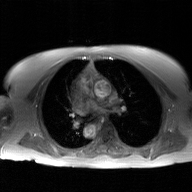
modality = 2D phase-contrast cine MRI of the ascending aorta, GAN super-resolution reconstruction